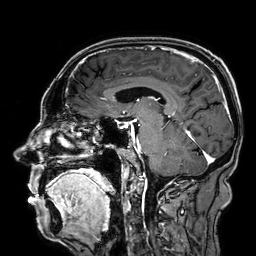
3 Tesla brain MRI. Series: 3D T1-weighted. Study: ring-enhancing brain masses.